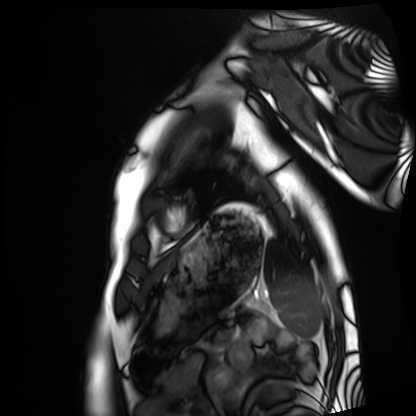
Summary:
Cardiac MRI. Subject group: healthy volunteer.